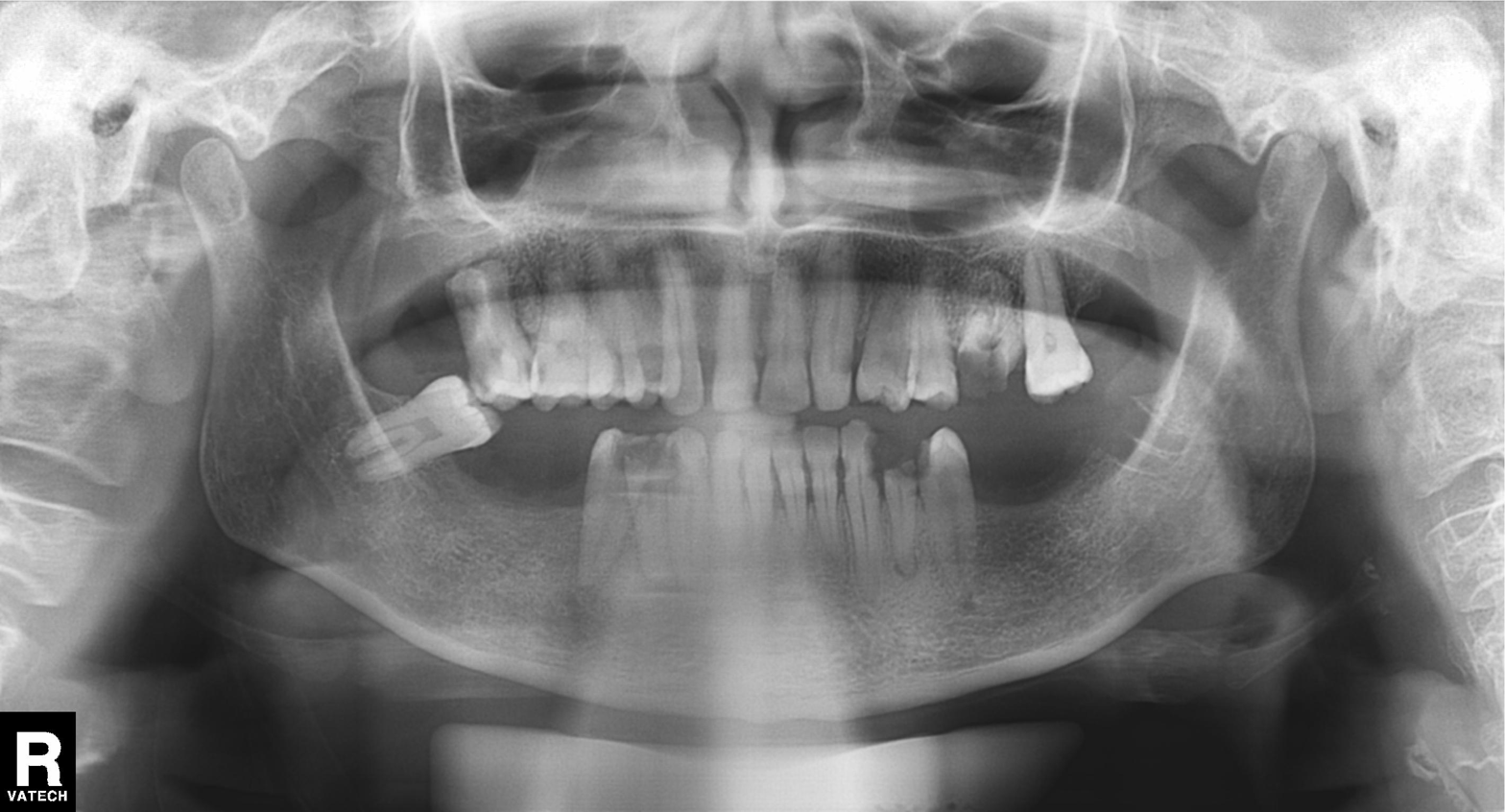
Q: What kind of scan is this?
A: Panoramic dental radiograph (orthopantomogram).
Q: What is the radiographic finding?
A: Tooth impaction.